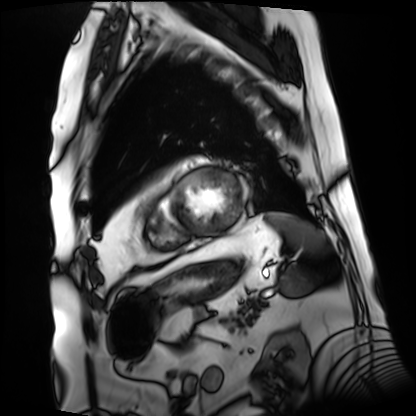
Cardiac MRI. Subject group: patient.